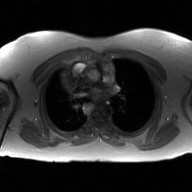
modality: 2D phase-contrast cine MRI of the ascending aorta, GAN super-resolution reconstruction.